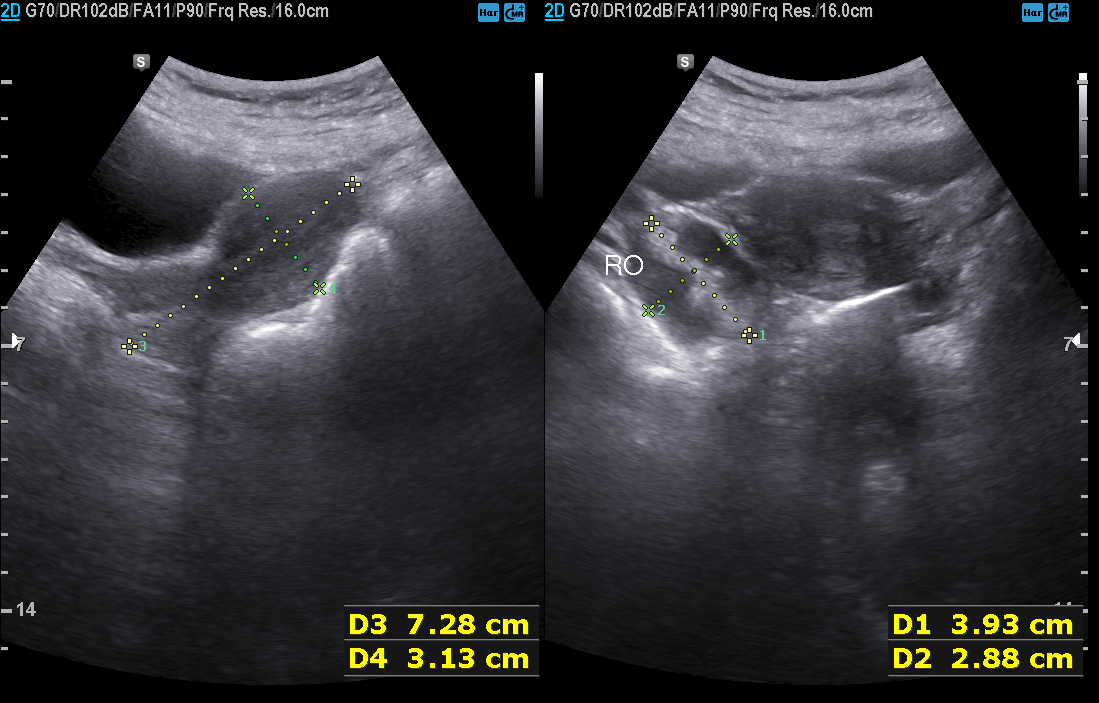
Clinical context:
Genitourinary ultrasound.